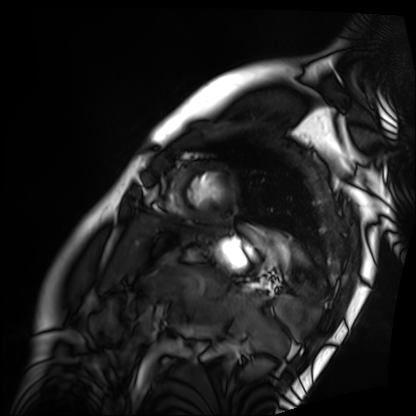
modality — cardiac MRI | subject group — patient.